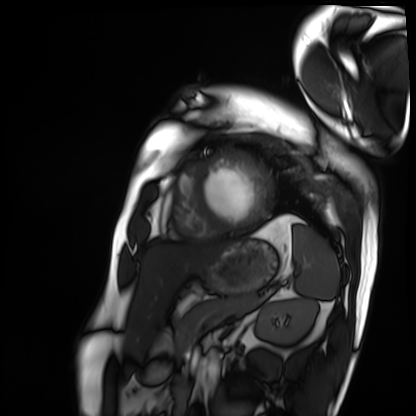
modality = cardiac MRI; subject group = patient.